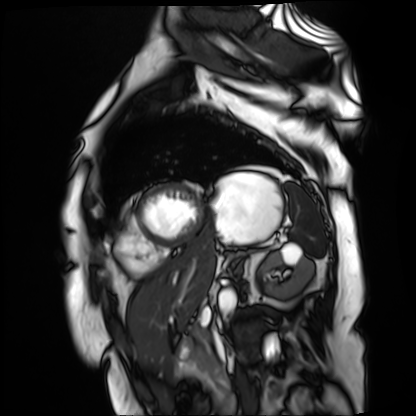
Cardiac MR image of the myocardium.
Subject cohort: cardiac patient.